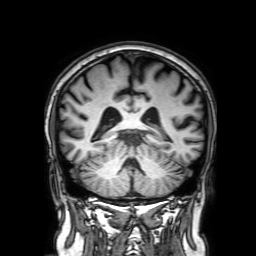
Summary: 3 Tesla brain MRI. Series: 3D T1-weighted with SENSE. Study: ring-enhancing brain masses.